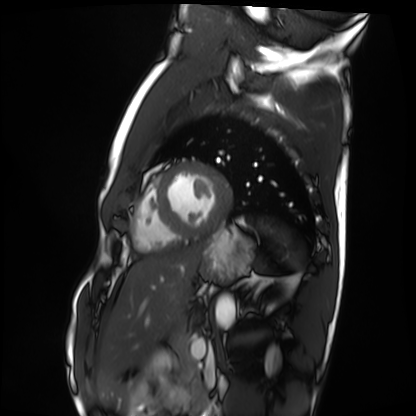
{
  "modality": "cardiac MRI",
  "cohort": "healthy volunteer"
}